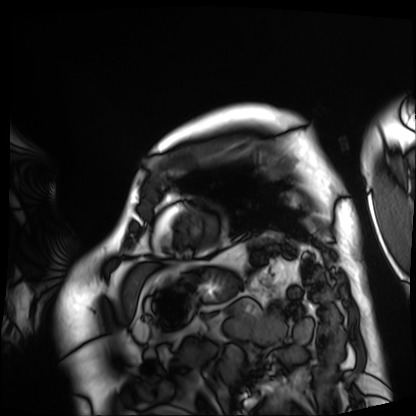
{"modality": "cardiac MRI", "cohort": "patient"}